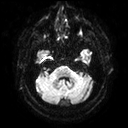
Case:
• modality — 3 Tesla brain MRI
• series — diffusion tensor imaging (medium iso)
• study — ring-enhancing brain masses